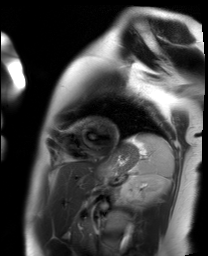
modality: cardiac MR image of the myocardium
subject cohort: healthy volunteer